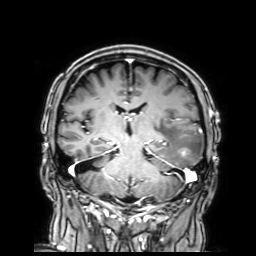
Clinical context:
3 Tesla brain MRI. Series: 3D T1-weighted with SENSE. Study: ring-enhancing brain masses.